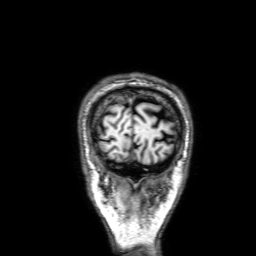
{
  "modality": {
    "type": "brain MRI",
    "field_strength": "3T"
  },
  "series": "3D T1-weighted with SENSE",
  "study_topic": "ring-enhancing brain masses"
}